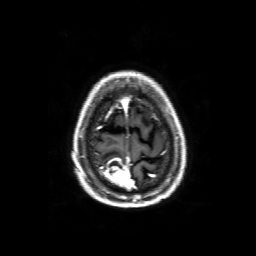
{
  "modality": {
    "type": "brain MRI",
    "field_strength": "3T"
  },
  "series": "3D T1-weighted with SENSE",
  "study_topic": "ring-enhancing brain masses"
}